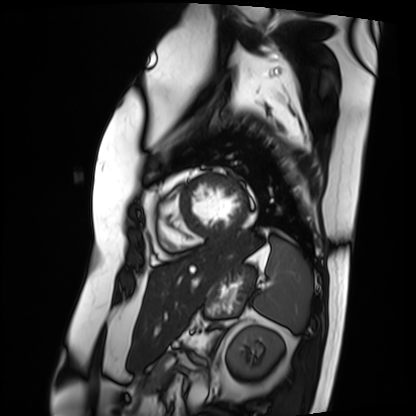
modality = cardiac MRI | subject group = patient.